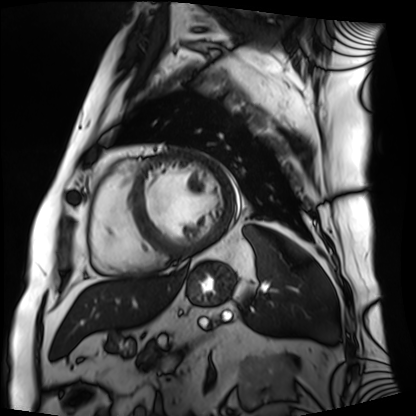
Q: What kind of scan is this?
A: Cardiac MRI.
Subject group: patient.